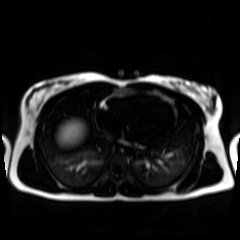
– modality — chemical-shift-encoded cardiac MRI